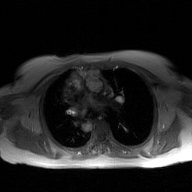
2D phase-contrast cine MRI of the ascending aorta, GAN super-resolution reconstruction.